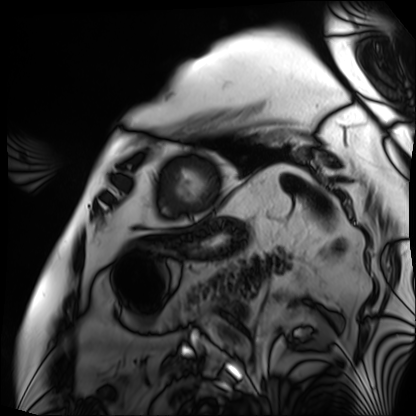
Cardiac MRI. Subject group: patient.